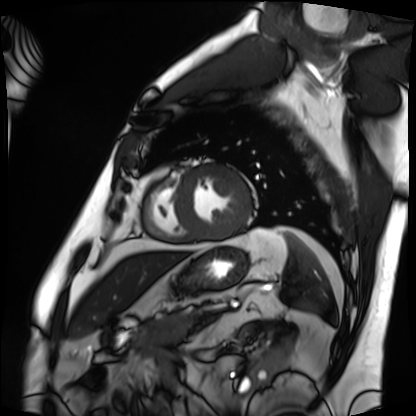
- modality: cardiac MRI
- subject group: patient